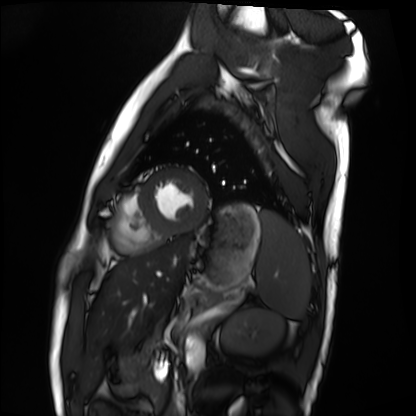
modality=cardiac MRI; subject group=healthy volunteer.